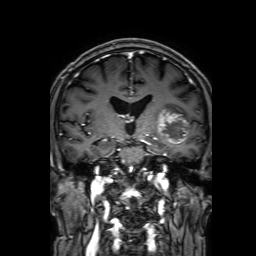
modality = 3 Tesla brain MRI
series = 3D T1-weighted with SENSE
study = ring-enhancing brain masses